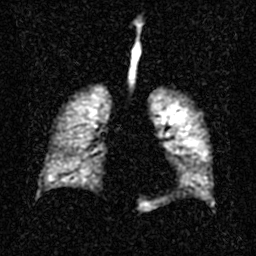
Hyperpolarized 129Xe ventilation MRI of the lungs. SNR level 2 of 8 (the deposit holds this scan as its native image and as seven SNR-degraded versions).